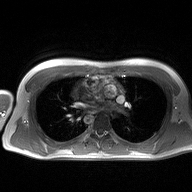
modality: 2D phase-contrast cine MRI of the ascending aorta